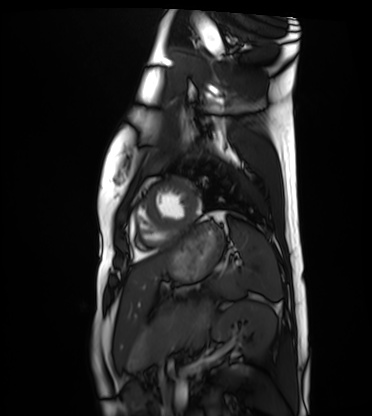
modality = cardiac MRI | subject group = healthy volunteer.